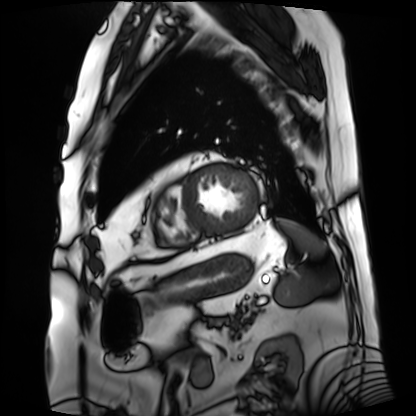
Cardiac MRI. Subject group: patient.